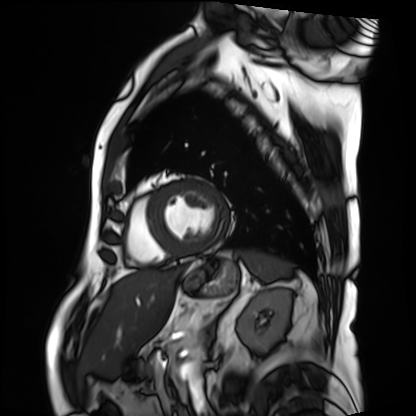
Cardiac MRI.
Subject group: patient.